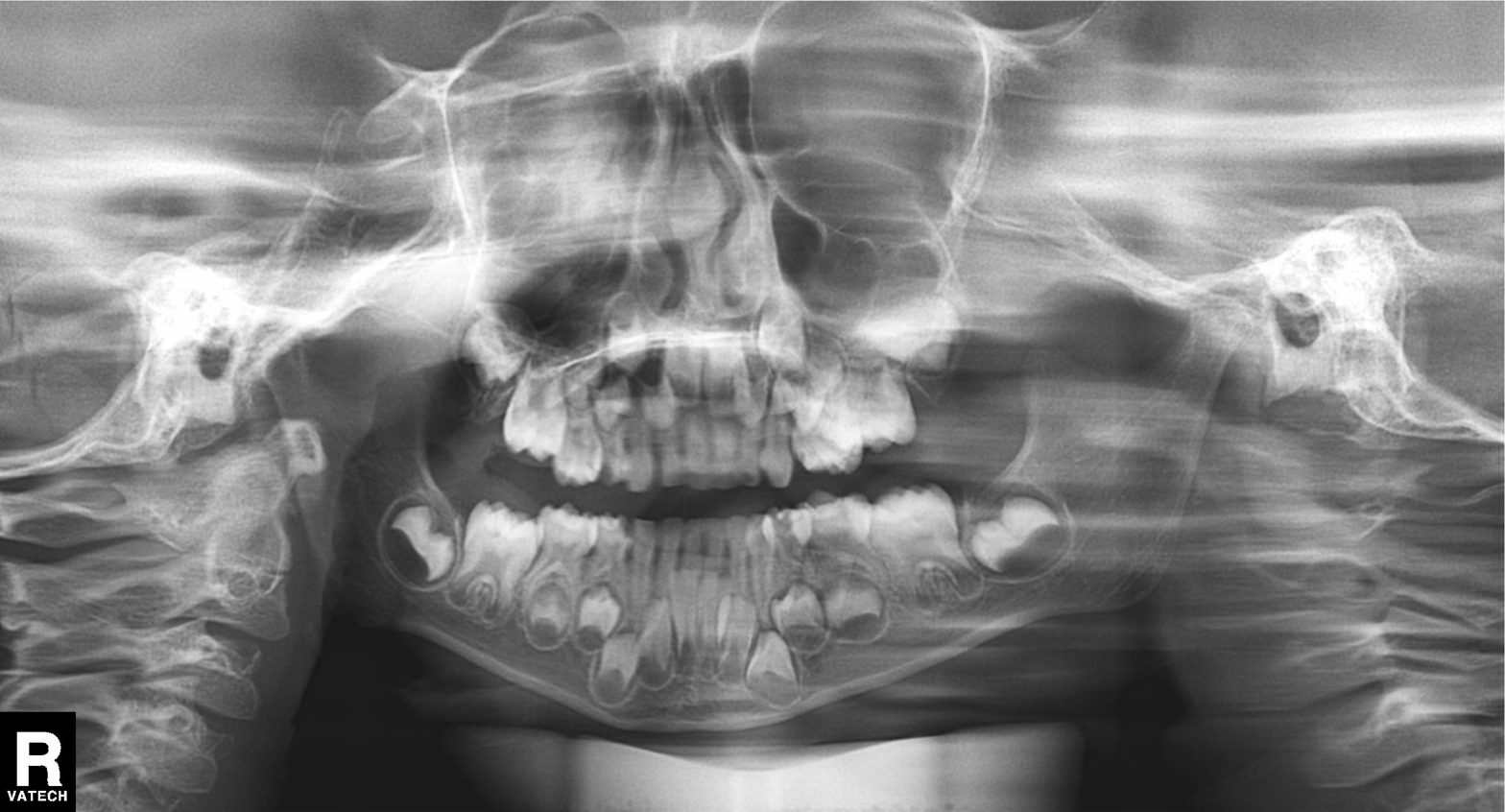
Case summary: Panoramic dental radiograph (orthopantomogram).
Impression: Tooth impaction.